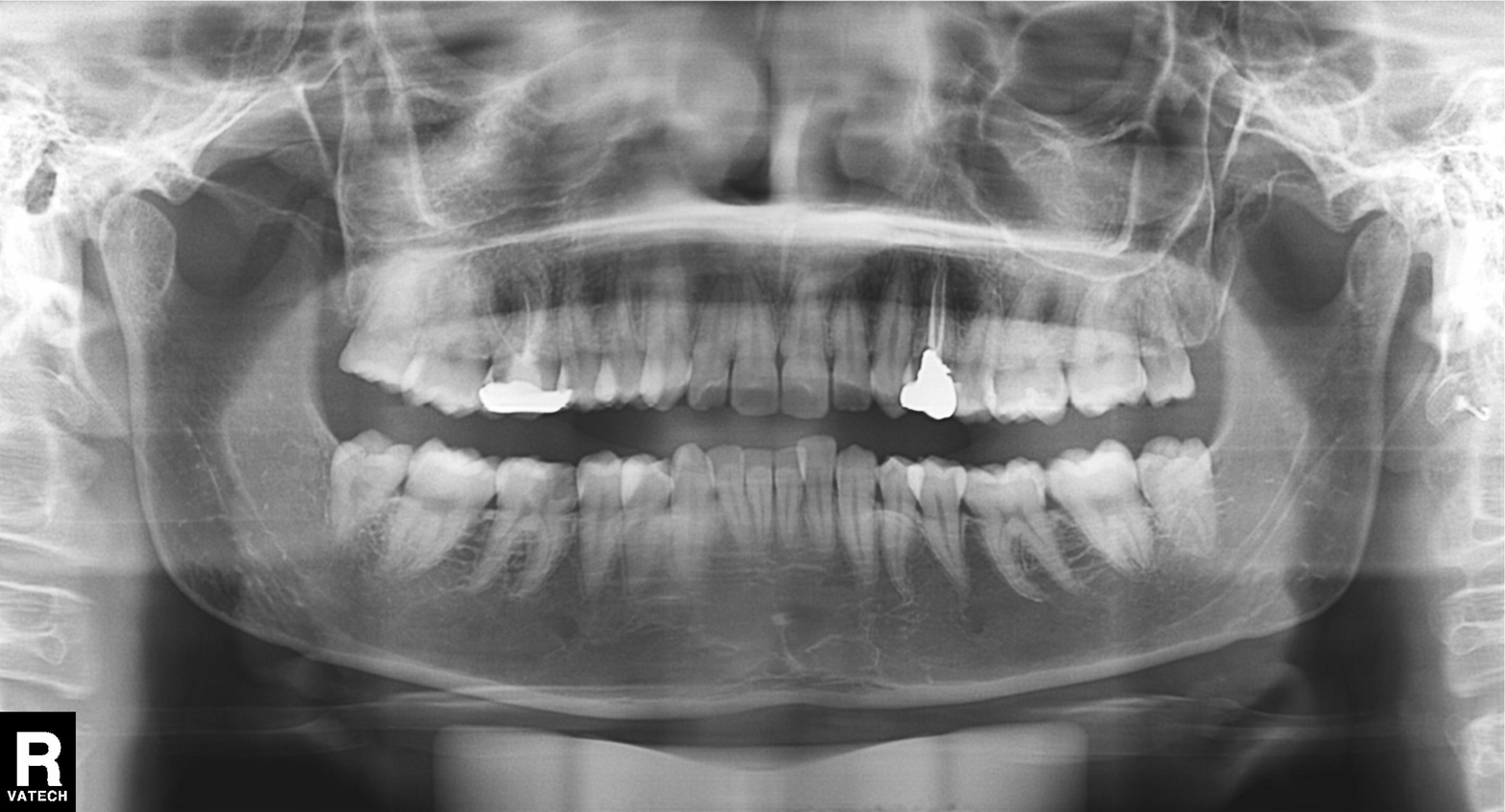
Clinical context:
Panoramic dental radiograph (orthopantomogram).
Conclusion:
Tooth impaction.